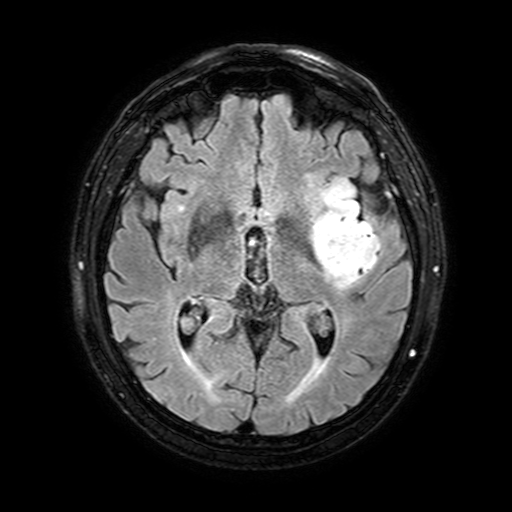
3 Tesla brain MRI. Series: FLAIR with SPAIR, 3 mm. Study: ring-enhancing brain masses.